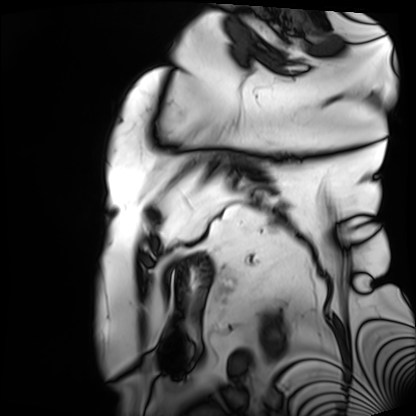
modality=cardiac MRI | subject group=patient.